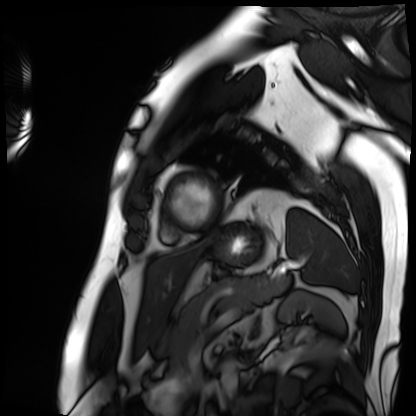
Summary: Cardiac MRI. Subject group: patient.